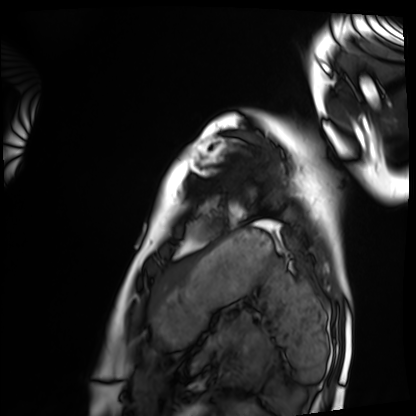
<scan>
<modality>cardiac MRI</modality>
<cohort>healthy volunteer</cohort>
</scan>